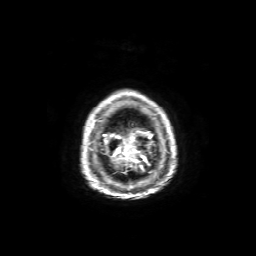
modality — 3 Tesla brain MRI; series — axial T1-weighted fusion image; study — ring-enhancing brain masses.